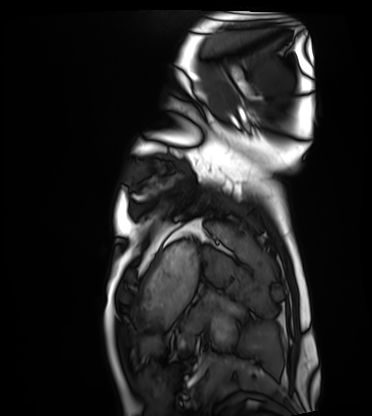
– modality — cardiac MRI
– subject group — healthy volunteer